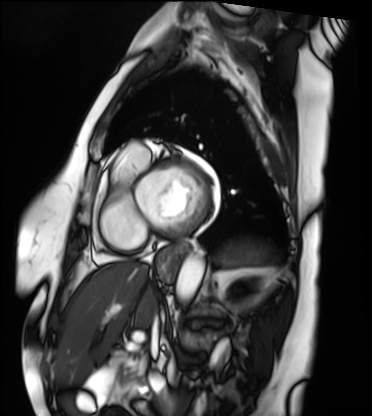
Q: What kind of scan is this?
A: Cardiac MRI.
Subject group: patient.